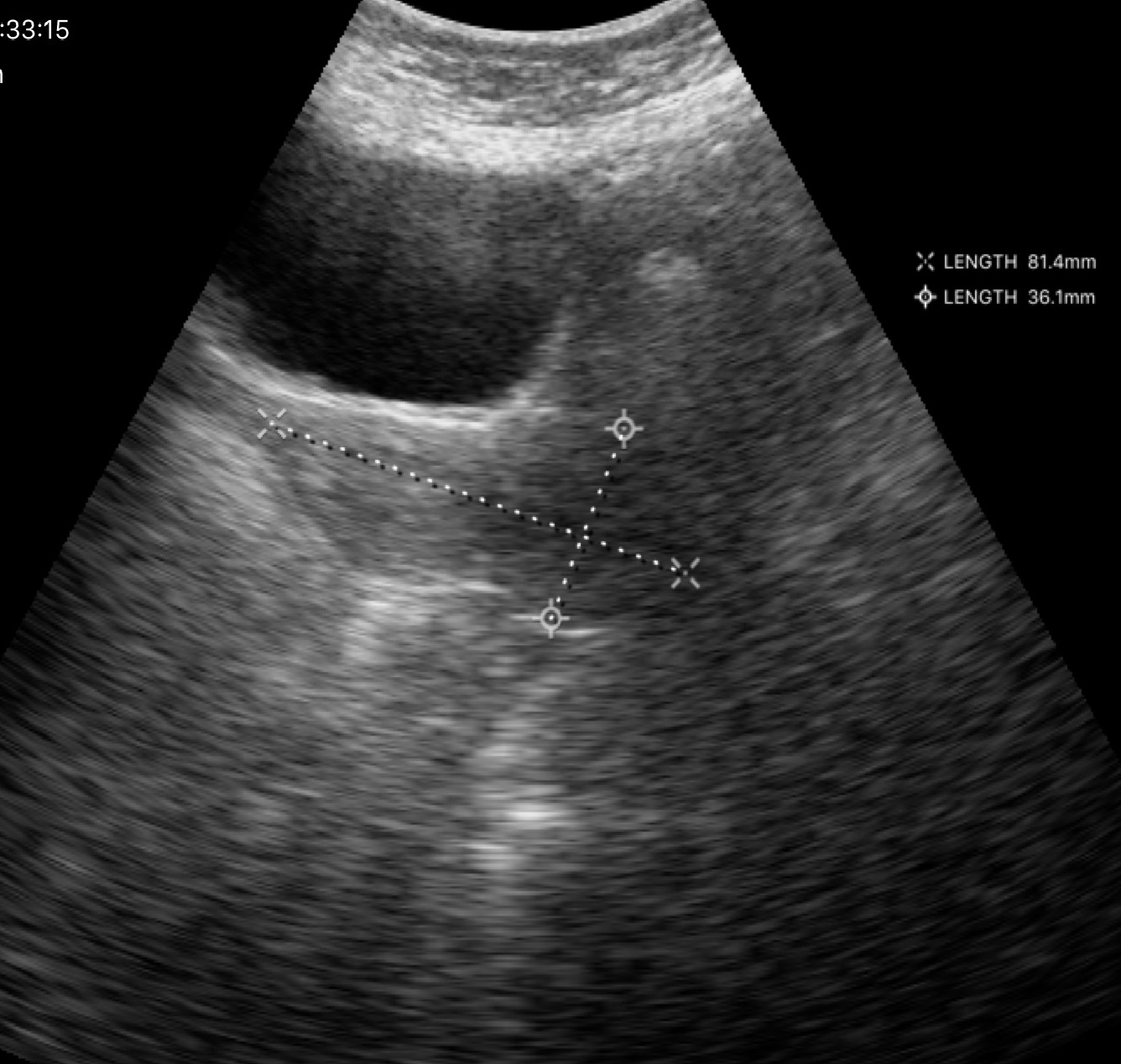
modality = genitourinary ultrasound.